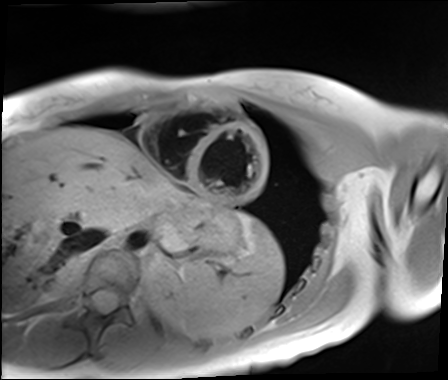
Q: What kind of scan is this?
A: Cardiac MR image of the myocardium.
Subject cohort: healthy volunteer.